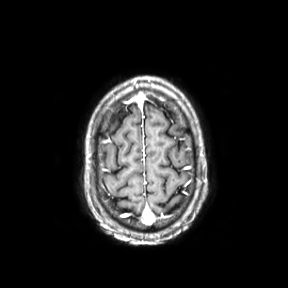
Case:
– modality — 3 Tesla brain MRI
– series — axial
– study — ring-enhancing brain masses